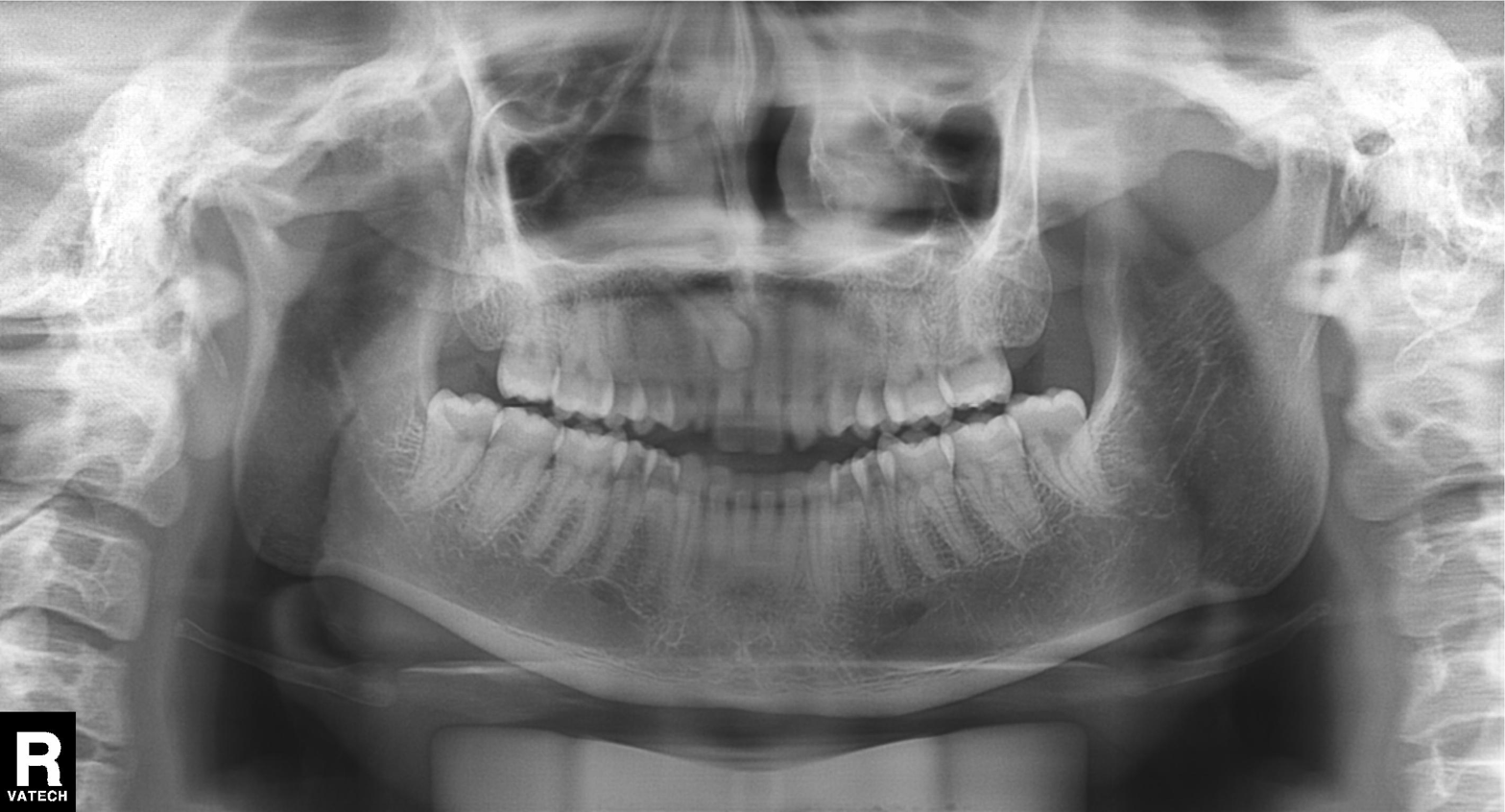
{
  "modality": "panoramic dental radiograph (orthopantomogram)",
  "finding": "dental caries (cavities)"
}